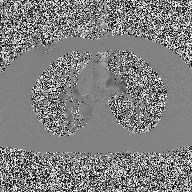
2D phase-contrast cine MRI of the ascending aorta, high-resolution GRAPPA acquisition.